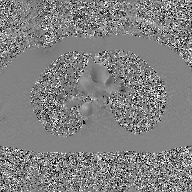
2D phase-contrast cine MRI of the ascending aorta, GAN super-resolution reconstruction.